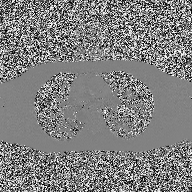
2D phase-contrast cine MRI of the ascending aorta, high-resolution GRAPPA acquisition.